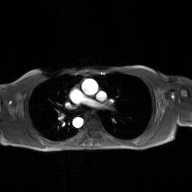
2D phase-contrast cine MRI of the ascending aorta, GAN super-resolution reconstruction.